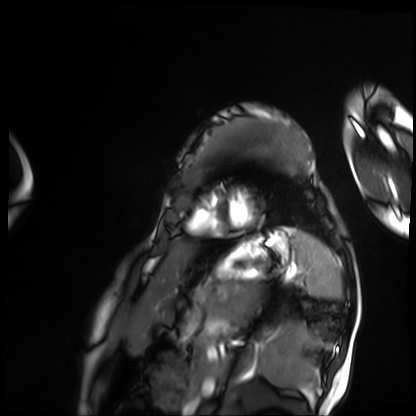
modality: cardiac MRI | subject group: patient.